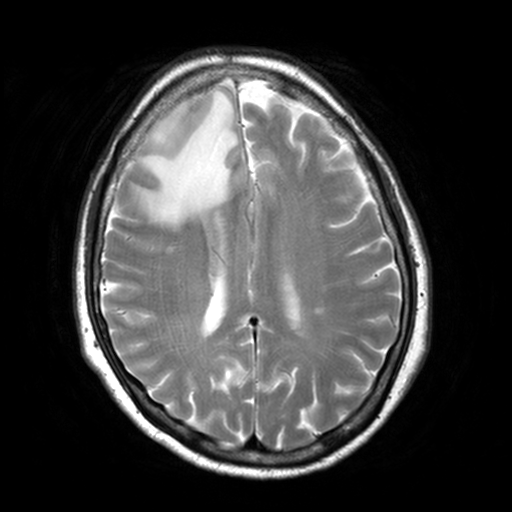
• modality — 3 Tesla brain MRI
• series — T2-weighted turbo spin echo, 3 mm
• study — ring-enhancing brain masses